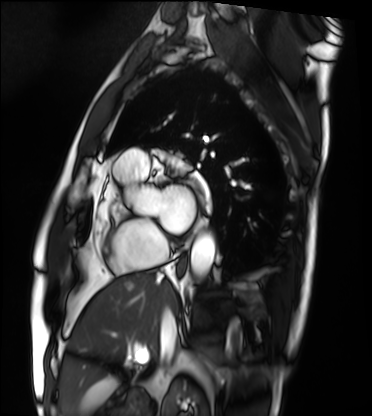
– modality: cardiac MRI
– subject group: patient